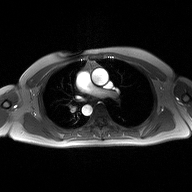
* modality — 2D phase-contrast cine MRI of the ascending aorta